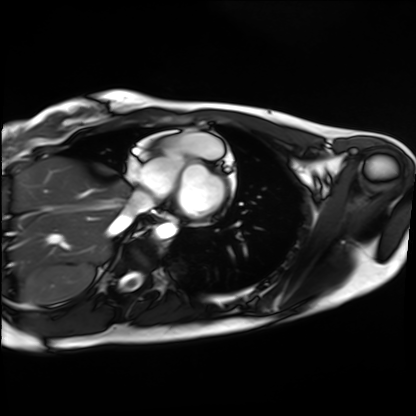
Cardiac MRI. Subject group: healthy volunteer.